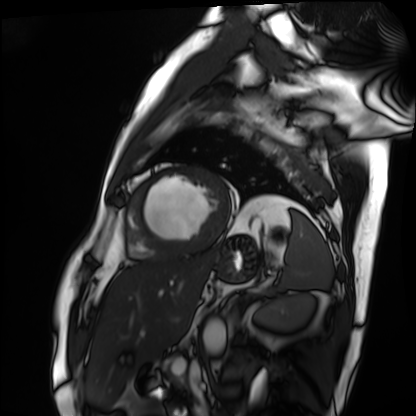
Case:
- modality — cardiac MRI
- subject group — patient